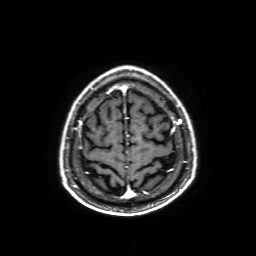
3 Tesla brain MRI. Series: axial T1-weighted fusion image. Study: ring-enhancing brain masses.